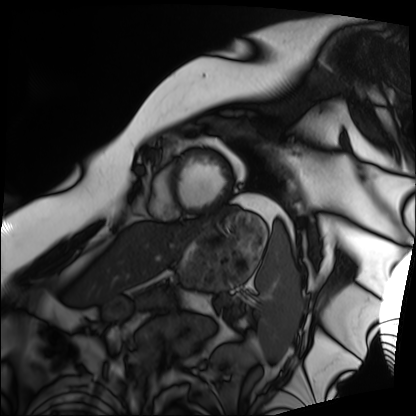
Q: What kind of scan is this?
A: Cardiac MRI.
Subject group: patient.